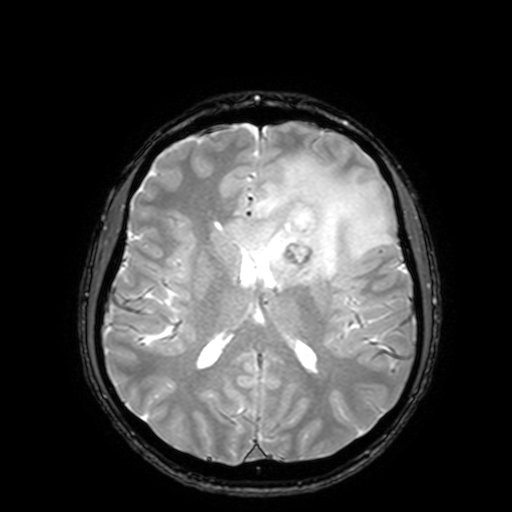
modality = 3 Tesla brain MRI; series = T2-weighted fast field echo with SENSE; study = ring-enhancing brain masses.